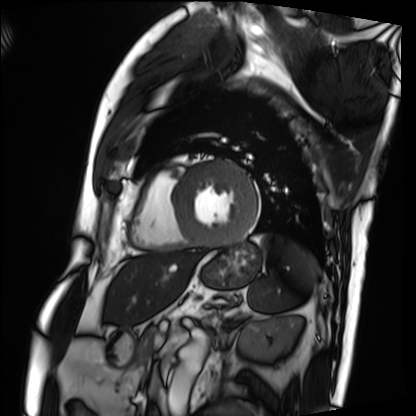
Q: What kind of scan is this?
A: Cardiac MRI.
Subject group: patient.